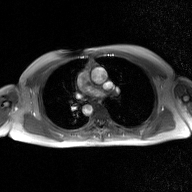
modality:
  type: 2D phase-contrast cine MRI
  region: ascending aorta
  reconstruction: GAN super-resolution reconstruction